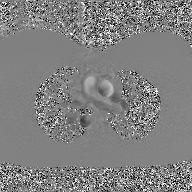
Case:
* modality — 2D phase-contrast cine MRI of the ascending aorta, GAN super-resolution reconstruction